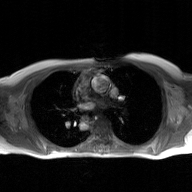
2D phase-contrast cine MRI of the ascending aorta, GAN super-resolution reconstruction.